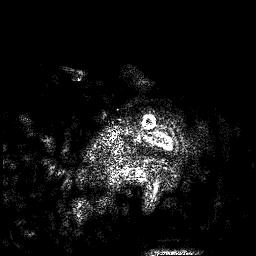
3 Tesla brain MRI.
Series: 3D T1-weighted.
Study: ring-enhancing brain masses.